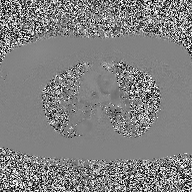
{"modality": {"type": "2D phase-contrast cine MRI", "region": "ascending aorta", "reconstruction": "high-resolution GRAPPA acquisition"}}